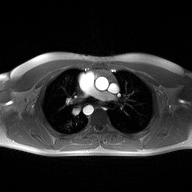
2D phase-contrast cine MRI of the ascending aorta, high-resolution GRAPPA acquisition.